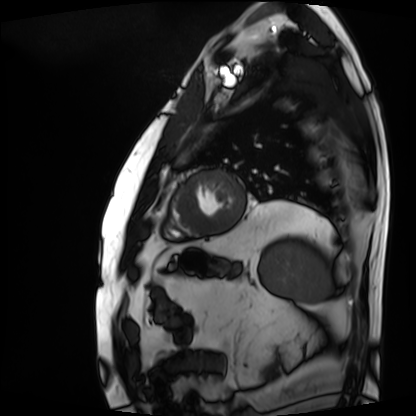
modality: cardiac MRI
subject group: patient